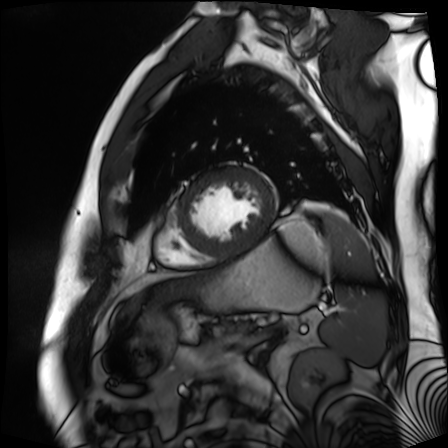
Cardiac MR image of the myocardium. Subject cohort: cardiac patient.